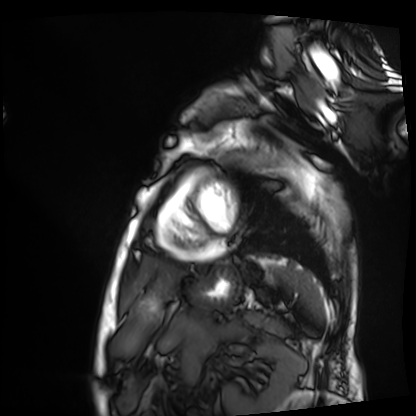
{"modality": "cardiac MRI", "cohort": "patient"}